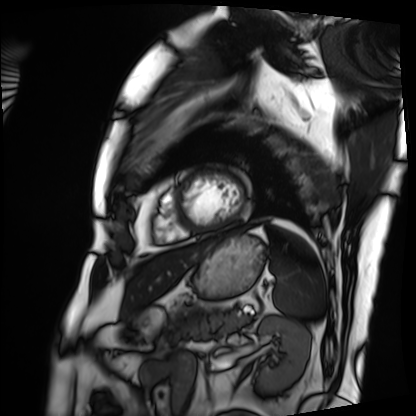
Case:
* modality: cardiac MRI
* subject group: patient